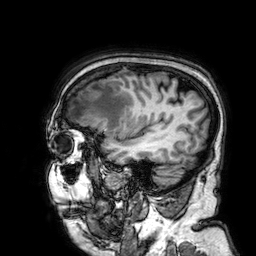
Case:
• modality: 3 Tesla brain MRI
• series: 3D T1-weighted
• study: ring-enhancing brain masses